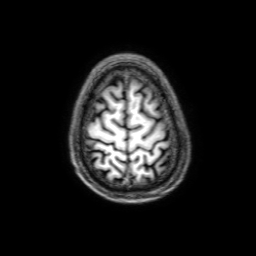
Summary: 3 Tesla brain MRI. Series: 3D T1-weighted with SENSE. Study: ring-enhancing brain masses.